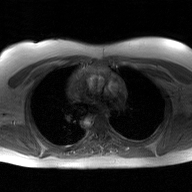
<study>
  <modality>
    <type>2D phase-contrast cine MRI</type>
    <region>ascending aorta</region>
    <reconstruction>GAN super-resolution reconstruction</reconstruction>
  </modality>
</study>